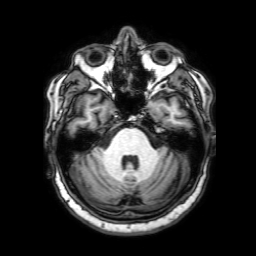
modality: 3 Tesla brain MRI | study: ring-enhancing brain masses.